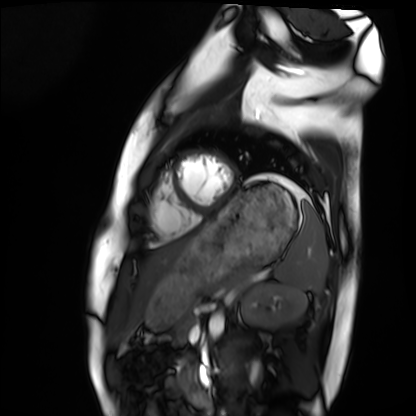
Q: What kind of scan is this?
A: Cardiac MRI.
Subject group: healthy volunteer.